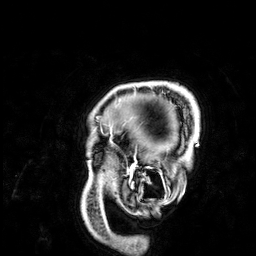
Summary:
3 Tesla brain MRI. Series: 3D T1-weighted. Study: ring-enhancing brain masses.